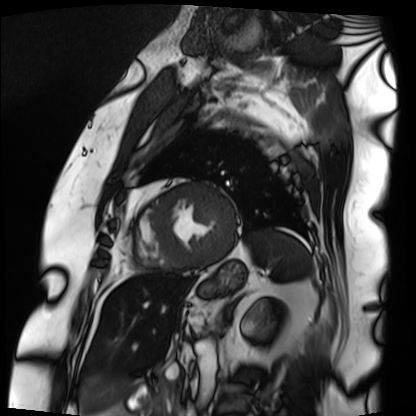
Q: What kind of scan is this?
A: Cardiac MRI.
Subject group: patient.